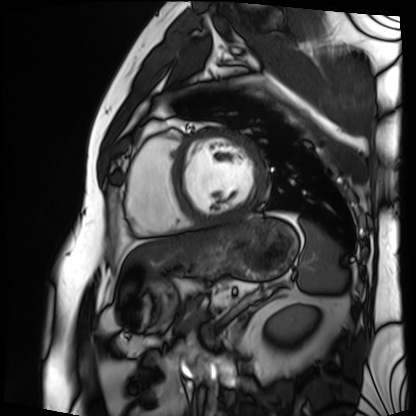
| field | value |
|---|---|
| modality | cardiac MRI |
| subject group | patient |